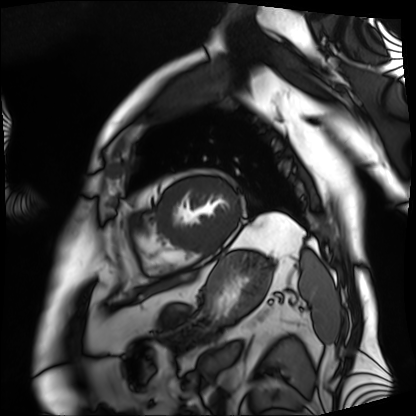
Cardiac MRI.
Subject group: patient.